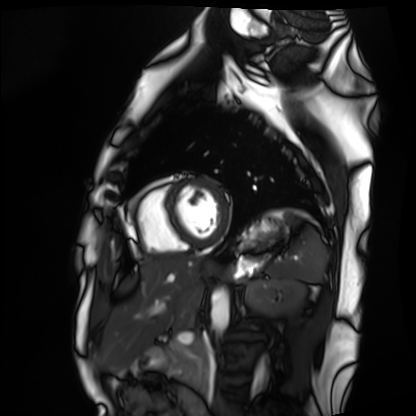
modality: cardiac MRI | subject group: healthy volunteer.